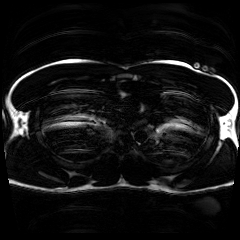
modality = chemical-shift-encoded cardiac MRI.